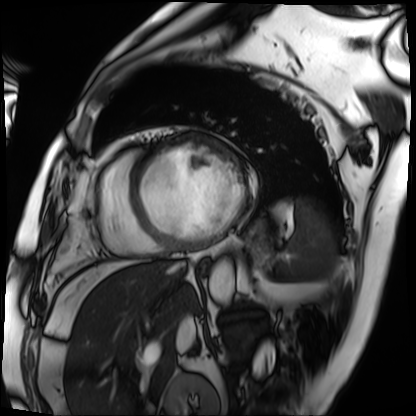
Cardiac MRI. Subject group: patient.